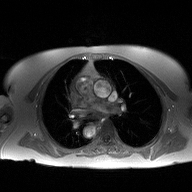
2D phase-contrast cine MRI of the ascending aorta, high-resolution GRAPPA acquisition.